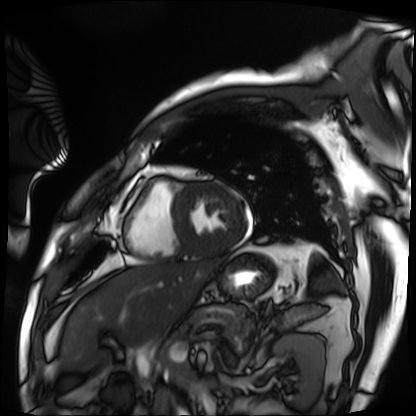
Q: What kind of scan is this?
A: Cardiac MRI.
Subject group: patient.